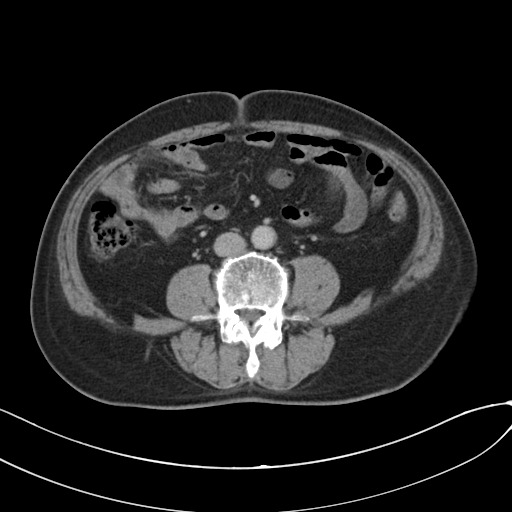
| field | value |
|---|---|
| modality | multiphase abdominal CT, liver, portal venous phase |
| patient | male, age 73 |
| history | cirrhosis, viral hepatitis |